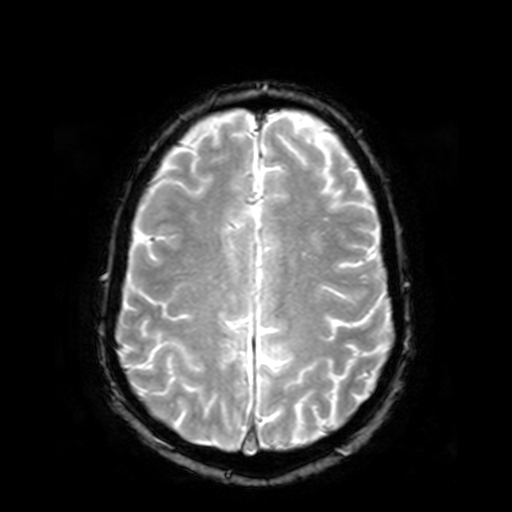
3 Tesla brain MRI.
Study: ring-enhancing brain masses.